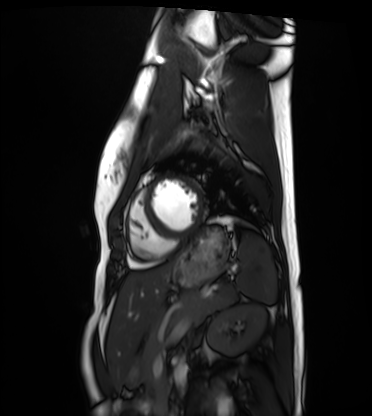
Case summary:
Cardiac MRI. Subject group: healthy volunteer.